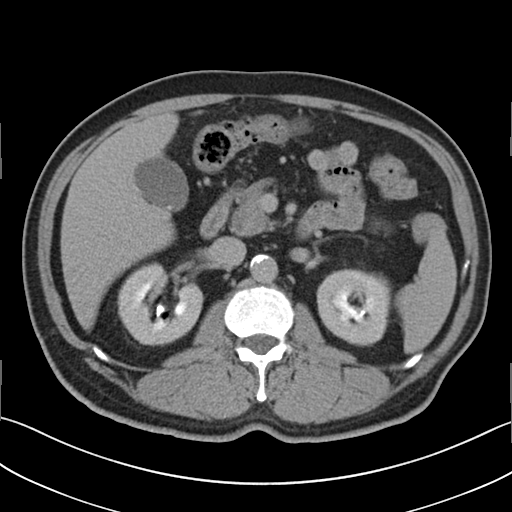
Q: What kind of scan is this?
A: Multiphase abdominal CT, liver, delayed phase.
Q: Patient?
A: Male, age 73.